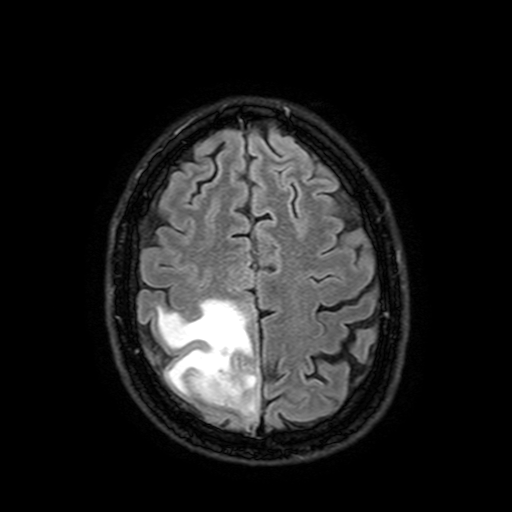
3 Tesla brain MRI.
Series: FLAIR with SPAIR, 3 mm.
Study: ring-enhancing brain masses.